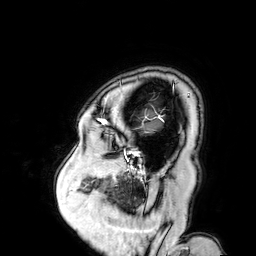
3 Tesla brain MRI. Series: 3D T1-weighted turbo field echo with SENSE. Study: ring-enhancing brain masses.